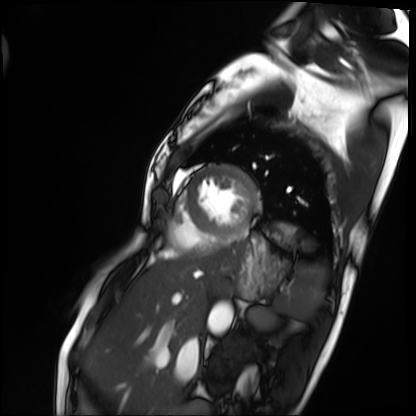
Cardiac MRI.
Subject group: patient.